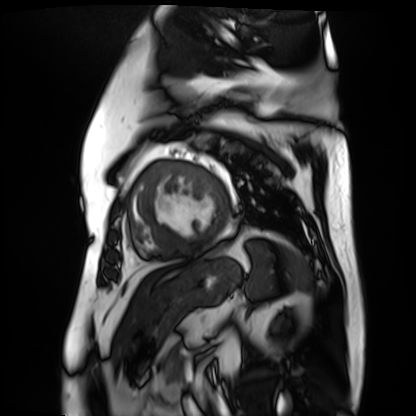
Cardiac MR image of the myocardium. Subject cohort: cardiac patient.